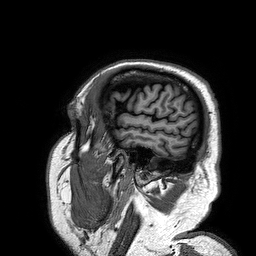
{
  "modality": {
    "type": "brain MRI",
    "field_strength": "3T"
  },
  "series": "3D T1-weighted turbo field echo",
  "study_topic": "ring-enhancing brain masses"
}